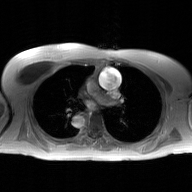
2D phase-contrast cine MRI of the ascending aorta, GAN super-resolution reconstruction.